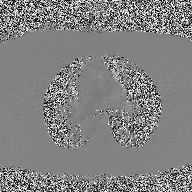
modality: 2D phase-contrast cine MRI of the ascending aorta.